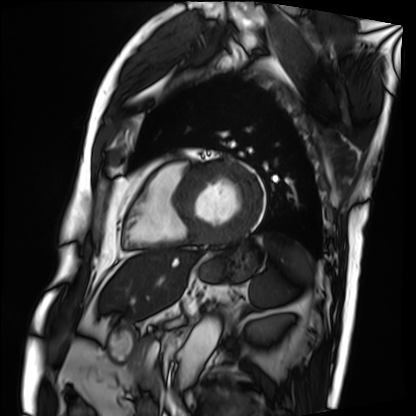
Case summary: Cardiac MRI. Subject group: patient.